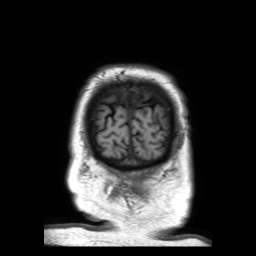
3 Tesla brain MRI. Series: 3D T1-weighted TFE with SENSE. Study: ring-enhancing brain masses.